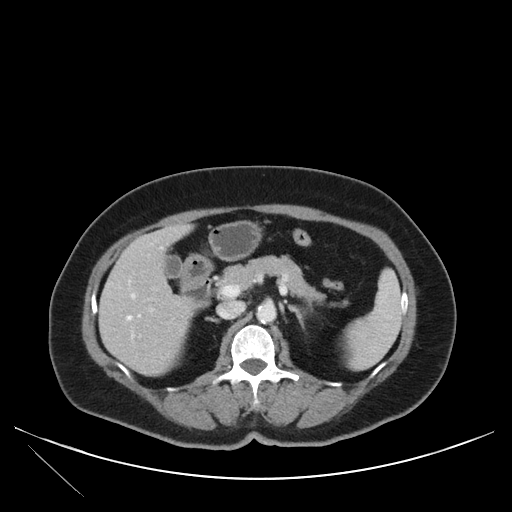
modality: multiphase abdominal CT, liver, portal venous phase; patient: female, age 71; history: viral hepatitis.